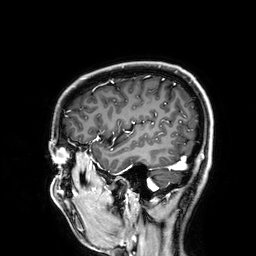
3 Tesla brain MRI.
Series: 3D T1-weighted.
Study: ring-enhancing brain masses.